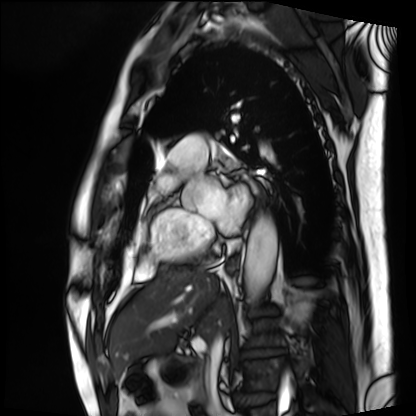
Cardiac MRI.
Subject group: patient.